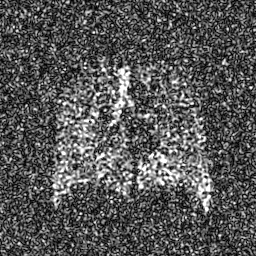
Summary: Hyperpolarized 129Xe ventilation MRI of the lungs. SNR level 8 of 8 (the deposit holds this scan as its native image and as seven SNR-degraded versions).